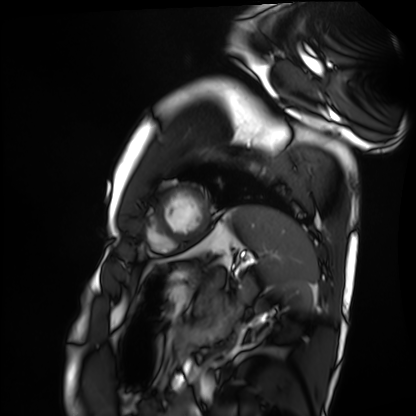
Case summary: Cardiac MRI. Subject group: healthy volunteer.